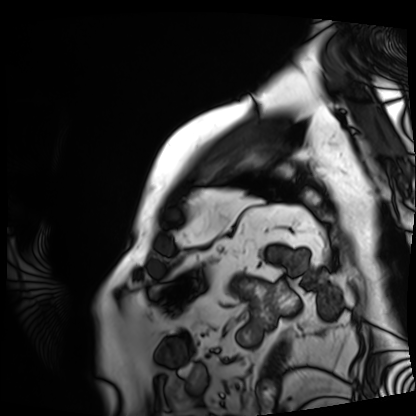
Clinical context: Cardiac MRI. Subject group: patient.